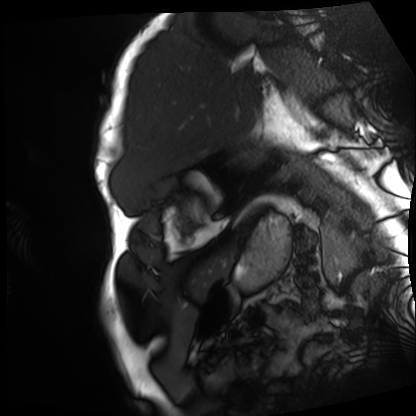
Summary: Cardiac MRI. Subject group: patient.